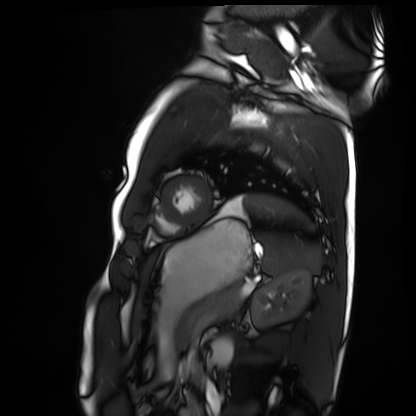
modality: cardiac MRI, subject group: healthy volunteer.